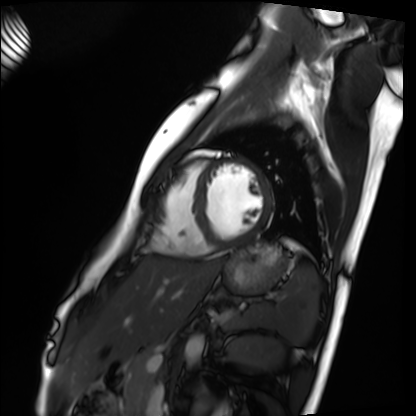
modality: cardiac MRI; subject group: healthy volunteer.